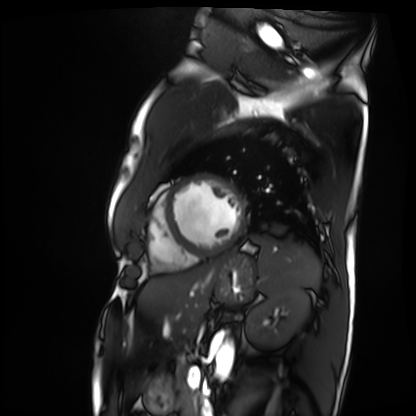
Summary:
Cardiac MRI. Subject group: patient.